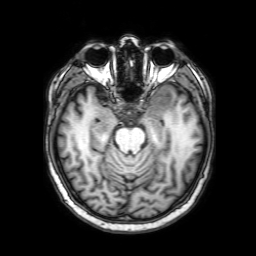
modality: 3 Tesla brain MRI; series: 3D T1-weighted with SENSE; study: ring-enhancing brain masses.